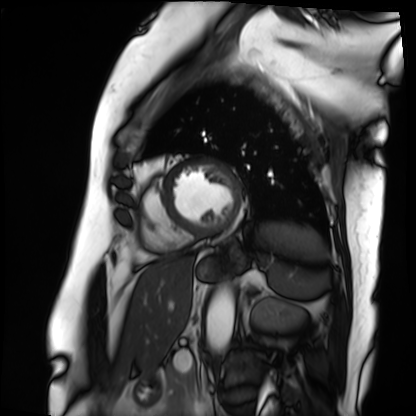
Clinical context: Cardiac MRI. Subject group: patient.